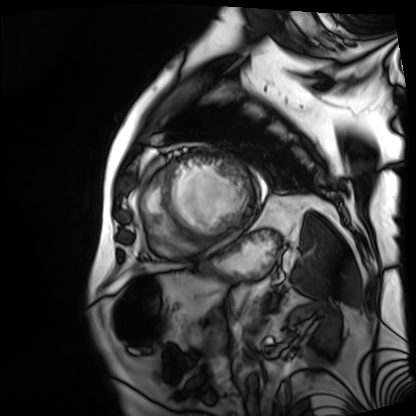
Cardiac MRI. Subject group: patient.